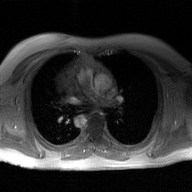
2D phase-contrast cine MRI of the ascending aorta, GAN super-resolution reconstruction.